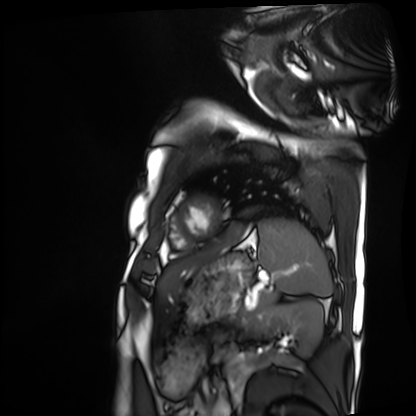
Clinical context:
Cardiac MRI. Subject group: patient.